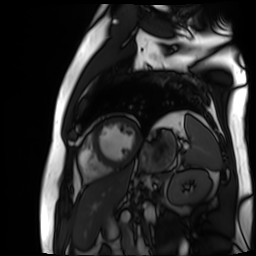
Clinical context: Cardiac MR image of the myocardium. Subject cohort: cardiac patient.